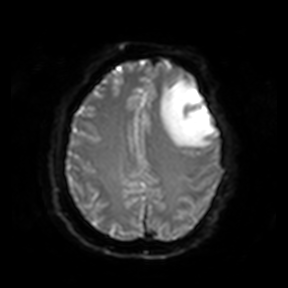
3 Tesla brain MRI. Series: diffusion-weighted imaging. Study: ring-enhancing brain masses.